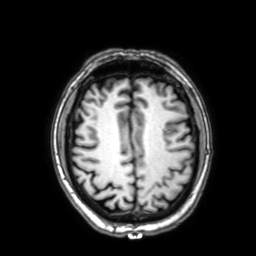
| field | value |
|---|---|
| modality | 3 Tesla brain MRI |
| series | 3D T1-weighted with SENSE |
| study | ring-enhancing brain masses |